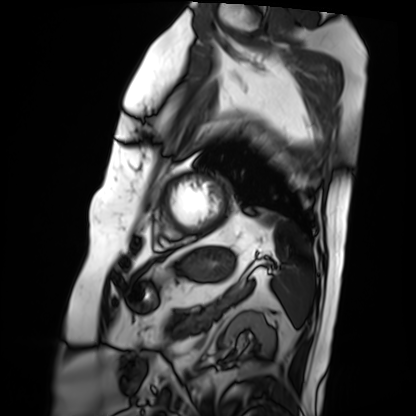
Q: What kind of scan is this?
A: Cardiac MRI.
Subject group: patient.